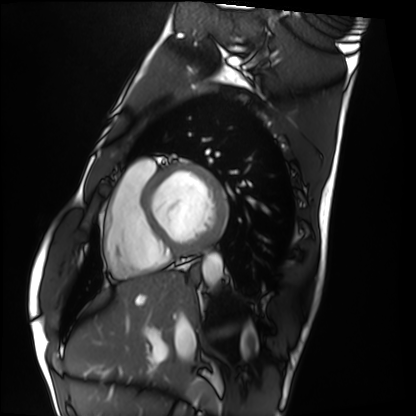
{"modality": "cardiac MRI", "cohort": "healthy volunteer"}